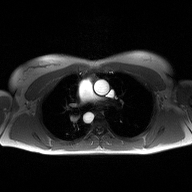
Case summary: 2D phase-contrast cine MRI of the ascending aorta, high-resolution GRAPPA acquisition.